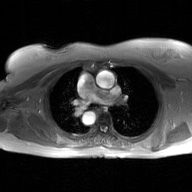
2D phase-contrast cine MRI of the ascending aorta, GAN super-resolution reconstruction.